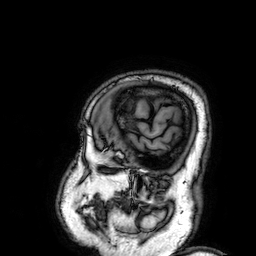
modality — 3 Tesla brain MRI; series — 3D T1-weighted; study — ring-enhancing brain masses.